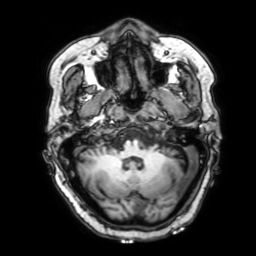
3 Tesla brain MRI. Series: 3D T1-weighted with SENSE. Study: ring-enhancing brain masses.